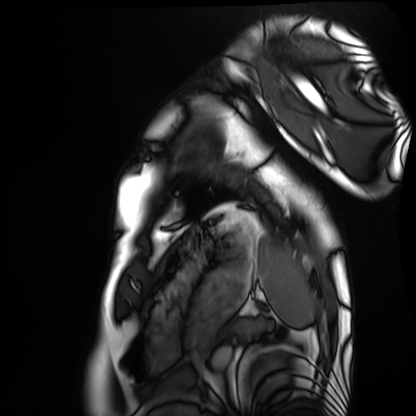
Cardiac MRI.
Subject group: healthy volunteer.